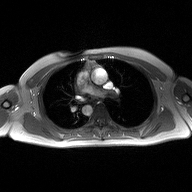
Case summary: 2D phase-contrast cine MRI of the ascending aorta, high-resolution GRAPPA acquisition.